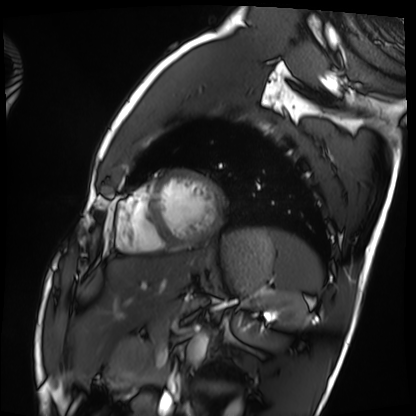
modality: cardiac MRI | subject group: healthy volunteer.